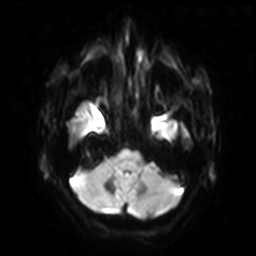
Clinical context:
3 Tesla brain MRI. Series: diffusion-weighted imaging with SENSE (WIP). Study: ring-enhancing brain masses.